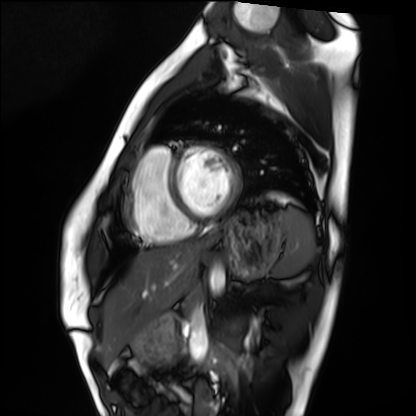
Clinical context:
Cardiac MRI. Subject group: healthy volunteer.